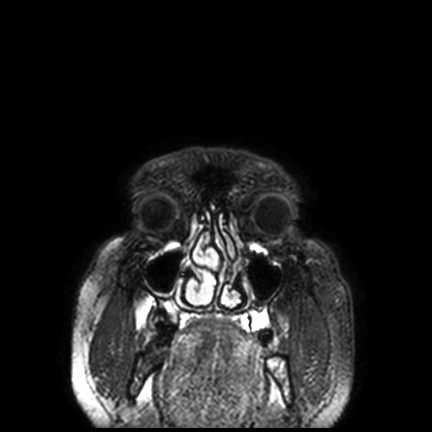
modality: 3 Tesla brain MRI; series: FLAIR VISTA with SENSE; study: ring-enhancing brain masses.